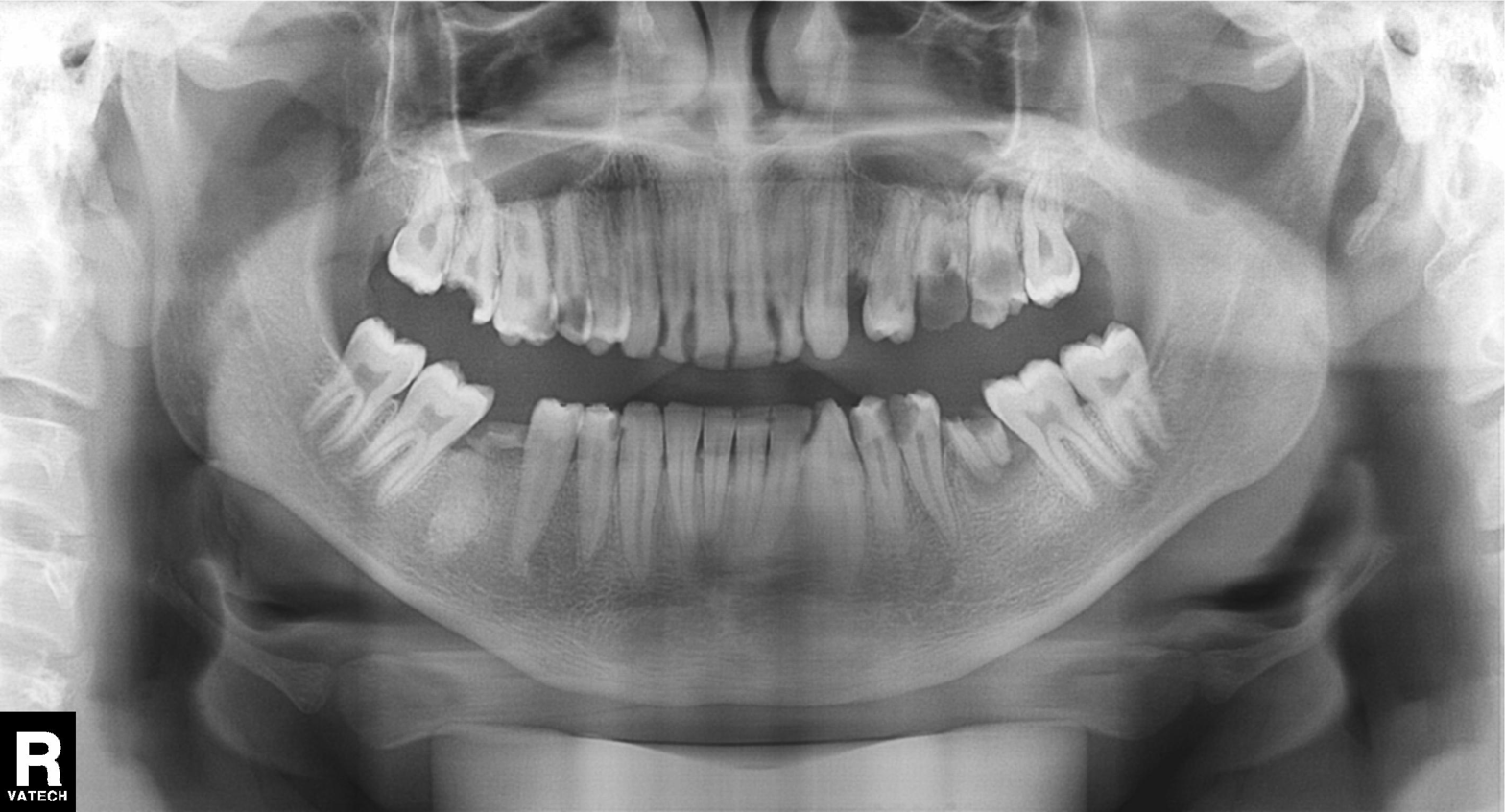
Panoramic dental radiograph (orthopantomogram).
Finding: alveolar bone loss.